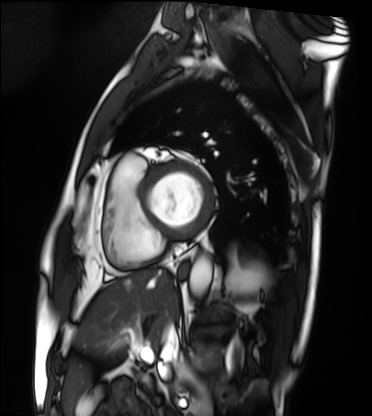
Cardiac MRI. Subject group: patient.